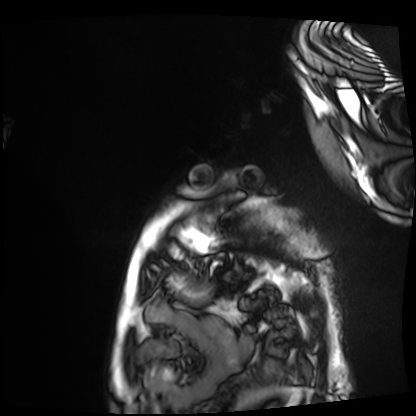
Cardiac MRI. Subject group: patient.